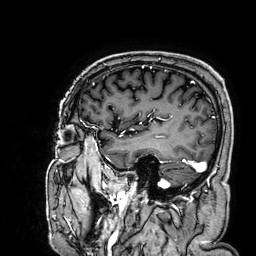
* modality: 3 Tesla brain MRI
* series: 3D T1-weighted
* study: ring-enhancing brain masses